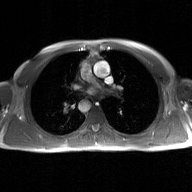
2D phase-contrast cine MRI of the ascending aorta, GAN super-resolution reconstruction.